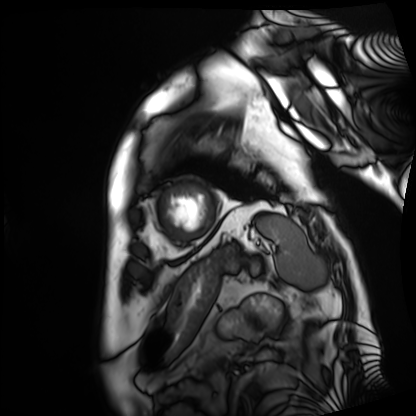
Clinical context: Cardiac MRI. Subject group: patient.